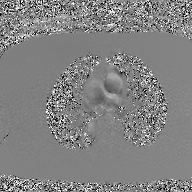
2D phase-contrast cine MRI of the ascending aorta, GAN super-resolution reconstruction.